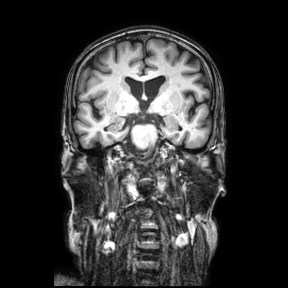
3 Tesla brain MRI. Series: coronal. Study: ring-enhancing brain masses.